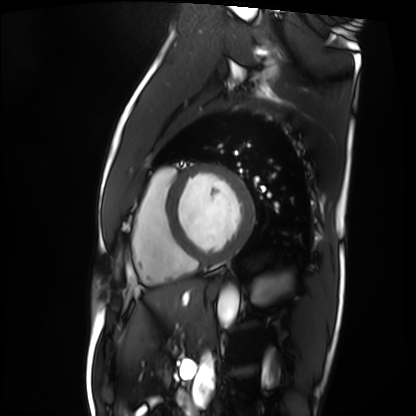
{
  "modality": "cardiac MRI",
  "cohort": "patient"
}